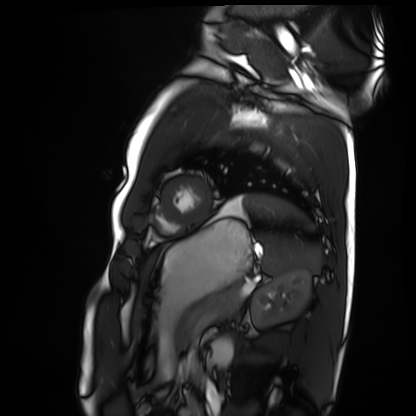
<record>
<modality>cardiac MRI</modality>
<cohort>healthy volunteer</cohort>
</record>